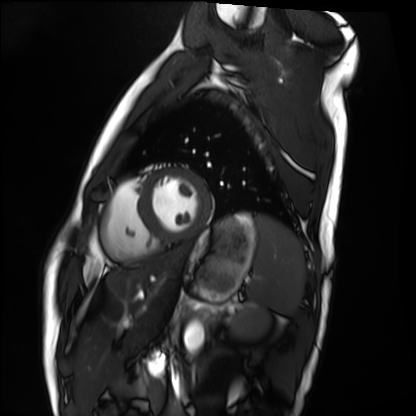
<study>
<modality>cardiac MRI</modality>
<cohort>healthy volunteer</cohort>
</study>